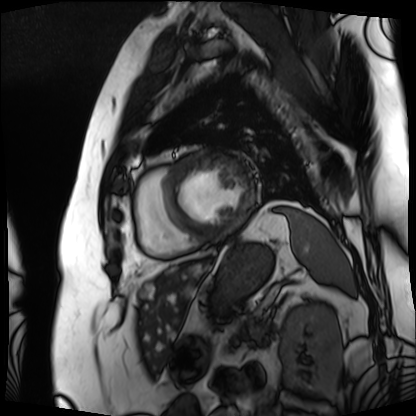
Cardiac MRI.
Subject group: patient.